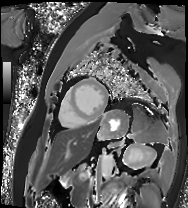
modality = cardiac MRI; subject group = patient.